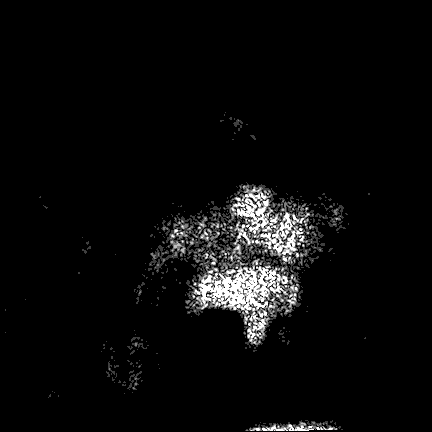
Case:
- modality — 3 Tesla brain MRI
- series — FLAIR VISTA
- study — ring-enhancing brain masses